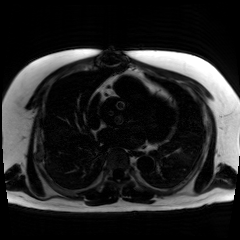
modality = chemical-shift-encoded cardiac MRI.